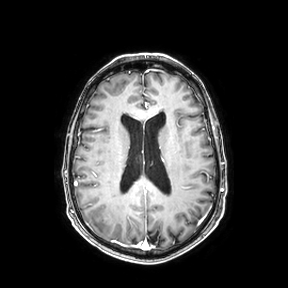
Case:
- modality — 3 Tesla brain MRI
- series — axial
- study — ring-enhancing brain masses